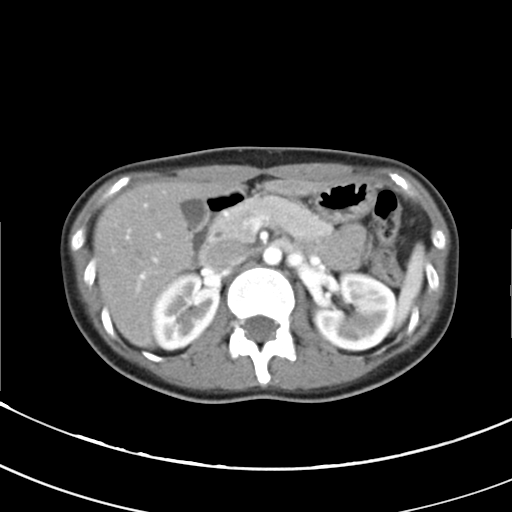
Multiphase abdominal CT, liver, arterial phase. Patient: male, age 63.